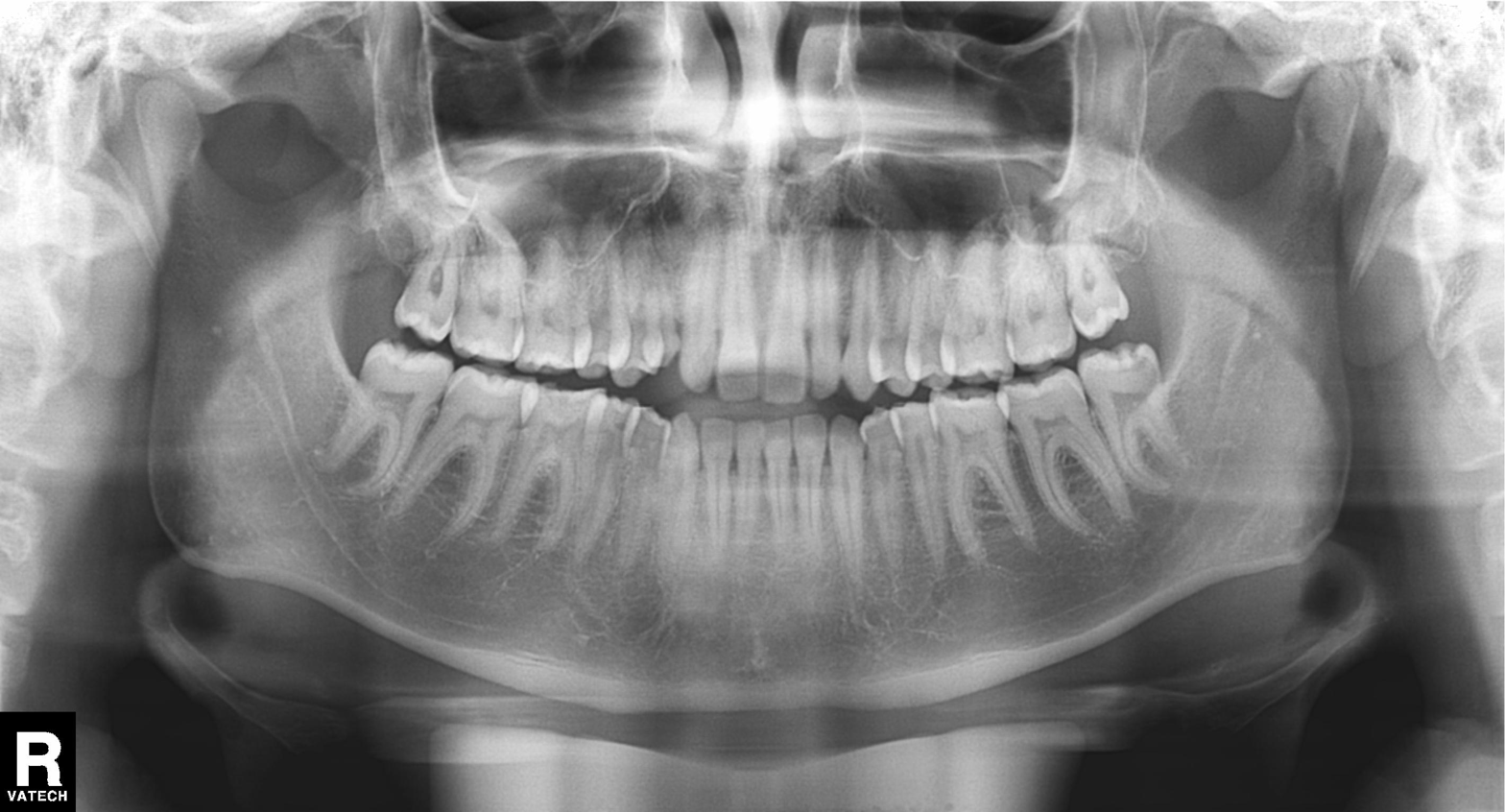
Clinical context: Panoramic dental radiograph (orthopantomogram).
Assessment: Dental caries (cavities).